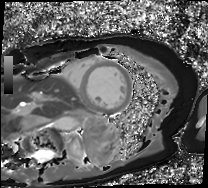
Cardiac MRI. Subject group: patient.